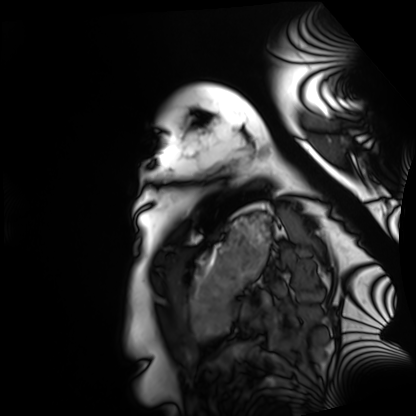
Cardiac MRI.
Subject group: healthy volunteer.